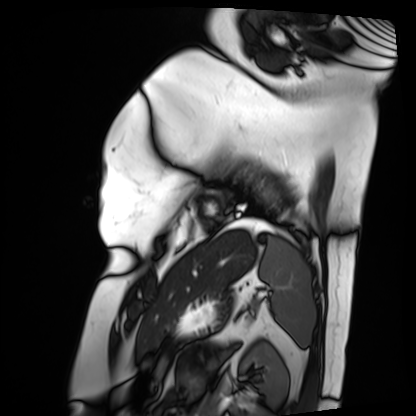
Case:
– modality: cardiac MRI
– subject group: patient